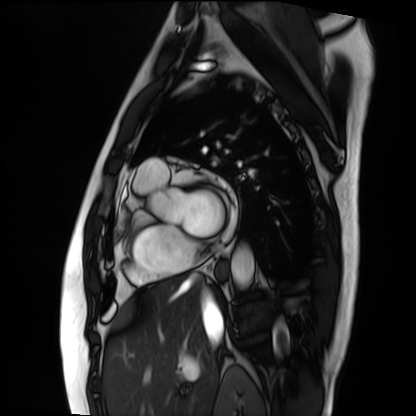
Cardiac MRI. Subject group: patient.